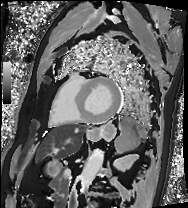
Cardiac MRI.
Subject group: patient.